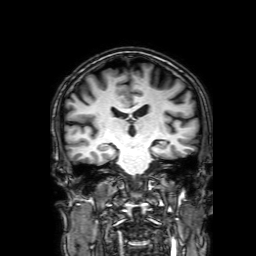
modality = 3 Tesla brain MRI | series = 3D T1-weighted with SENSE | study = ring-enhancing brain masses.